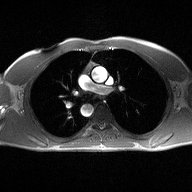
{
  "modality": {
    "type": "2D phase-contrast cine MRI",
    "region": "ascending aorta",
    "reconstruction": "high-resolution GRAPPA acquisition"
  }
}